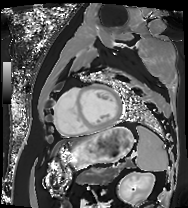
* modality · cardiac MRI
* subject group · patient